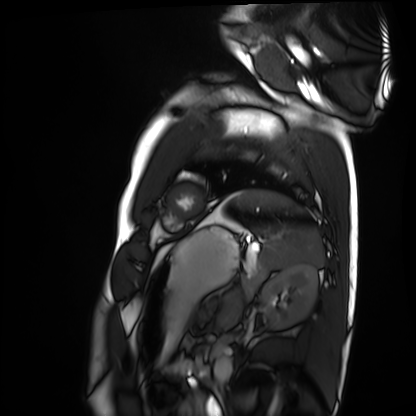
modality = cardiac MRI; subject group = healthy volunteer.